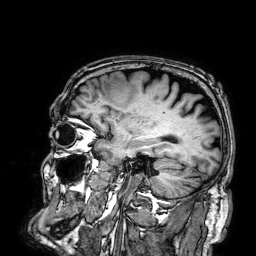
Q: What kind of scan is this?
A: 3 Tesla brain MRI.
Q: Series?
A: 3D T1-weighted.
Study: ring-enhancing brain masses.